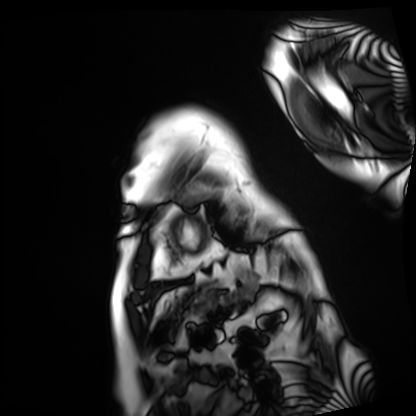
{
  "modality": "cardiac MRI",
  "cohort": "patient"
}